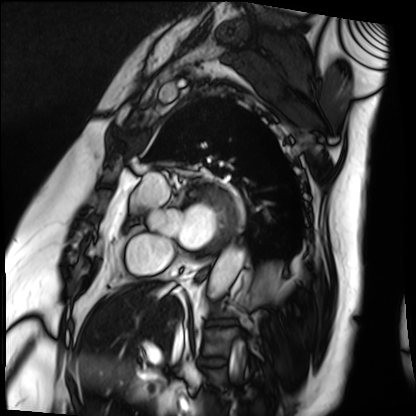
Case summary: Cardiac MRI. Subject group: patient.